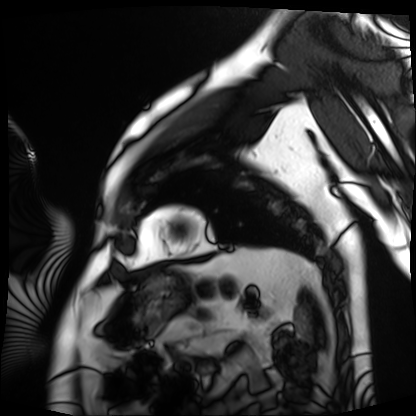
Clinical context: Cardiac MRI. Subject group: patient.